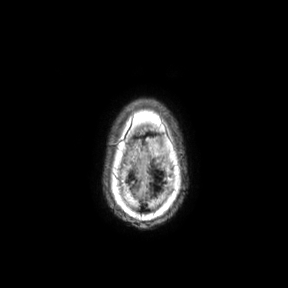
3 Tesla brain MRI. Series: axial. Study: ring-enhancing brain masses.